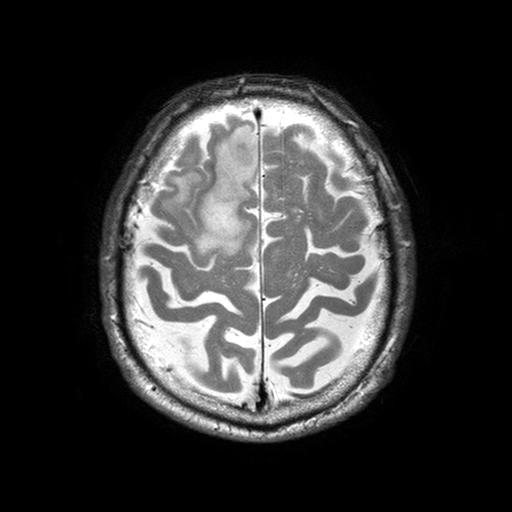
modality = 3 Tesla brain MRI; series = T2-weighted turbo spin echo with SENSE; study = ring-enhancing brain masses.